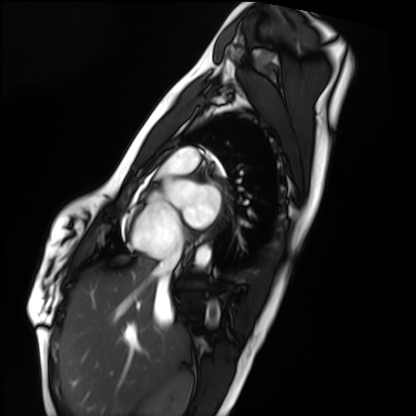
modality=cardiac MRI | subject group=healthy volunteer.